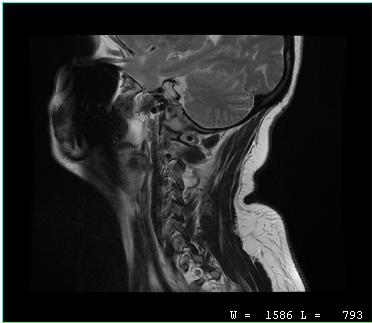
modality: MRI of the cervical spine
study: cervical spondylosis